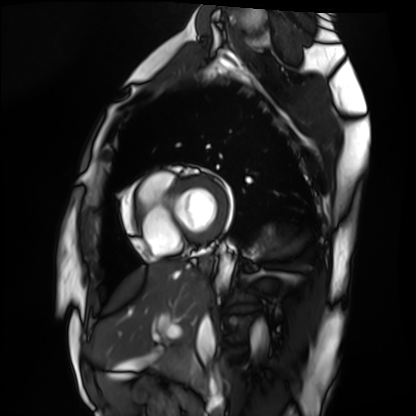
Cardiac MRI.
Subject group: healthy volunteer.